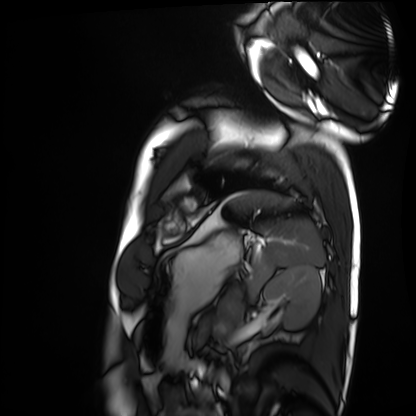
Cardiac MRI. Subject group: healthy volunteer.